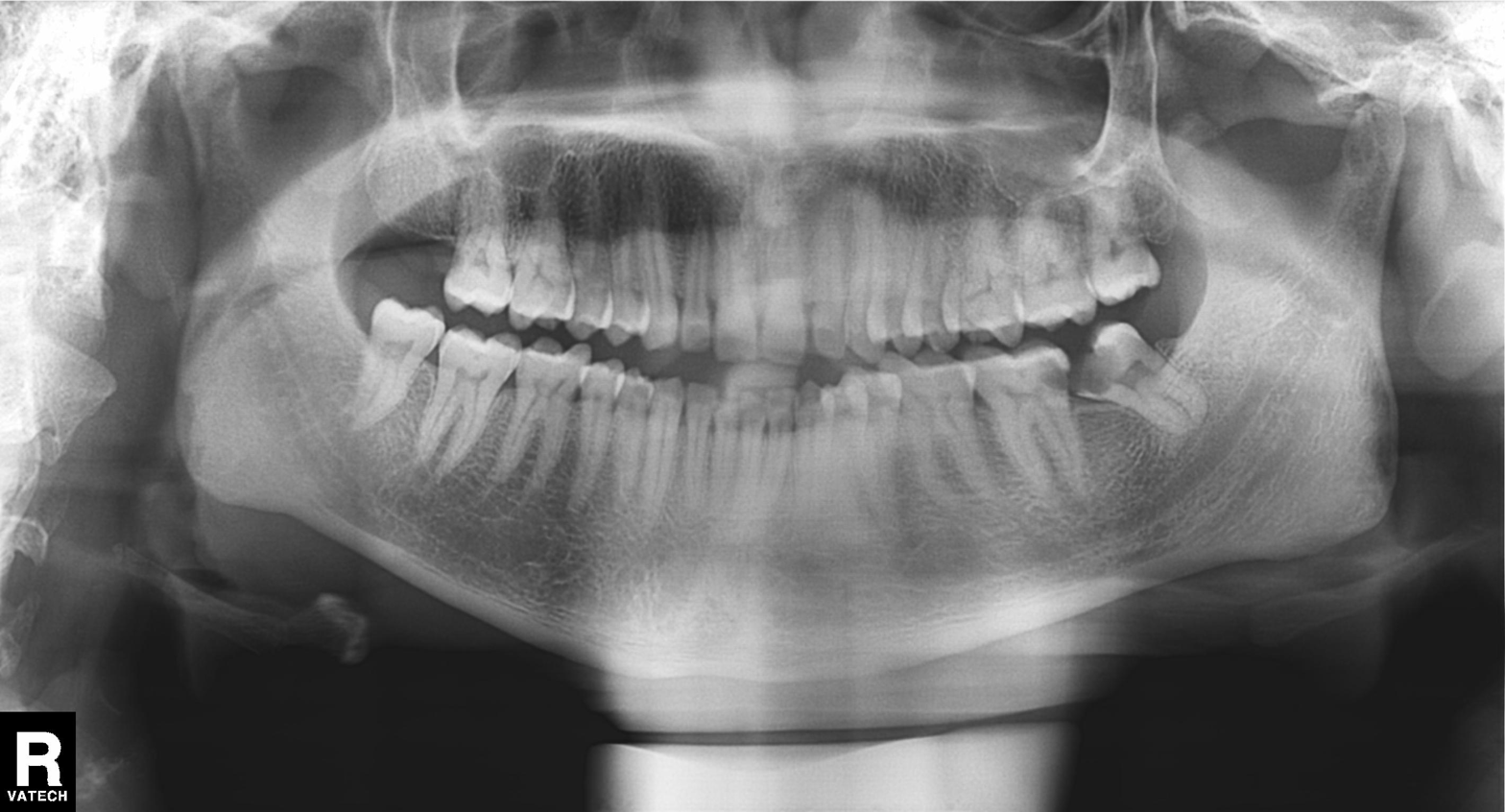
Panoramic dental radiograph (orthopantomogram).
Finding: alveolar bone loss.